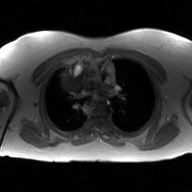
modality: 2D phase-contrast cine MRI of the ascending aorta, GAN super-resolution reconstruction